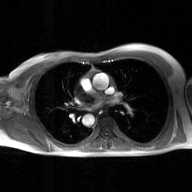
Summary:
2D phase-contrast cine MRI of the ascending aorta, GAN super-resolution reconstruction.